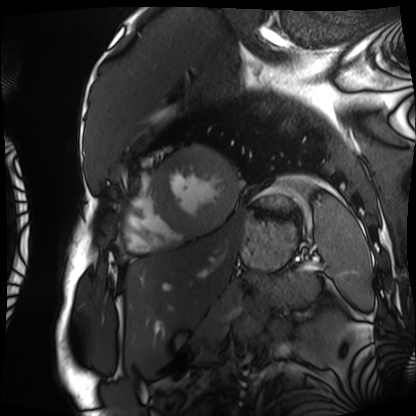
Cardiac MRI.
Subject group: patient.